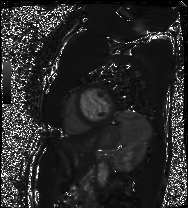
Case summary:
Cardiac MRI. Subject group: patient.